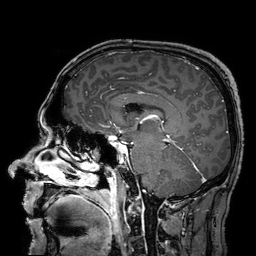
Q: What kind of scan is this?
A: 3 Tesla brain MRI.
Q: Series?
A: 3D T1-weighted turbo field echo with SENSE.
Study: ring-enhancing brain masses.